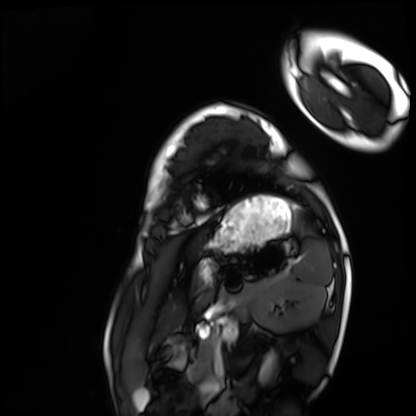
modality = cardiac MRI
subject group = healthy volunteer